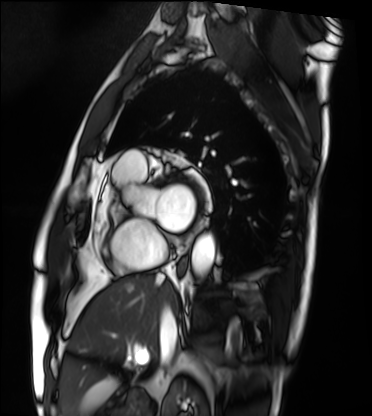
modality: cardiac MRI
cohort: patient